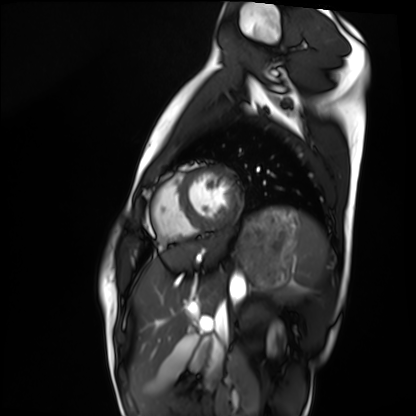
modality: cardiac MRI | subject group: healthy volunteer.